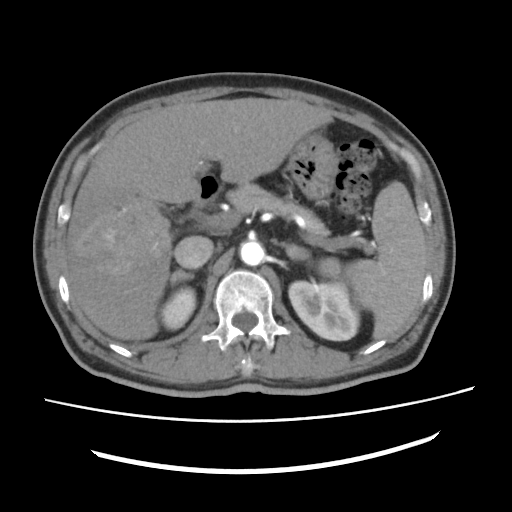
Multiphase abdominal CT, liver, arterial phase. Patient: male, age 60. History: viral hepatitis, prior chemotherapy.